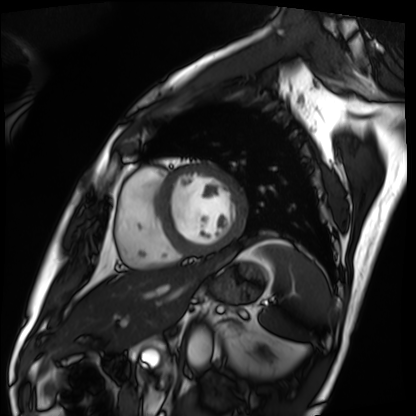
modality: cardiac MRI
cohort: patient